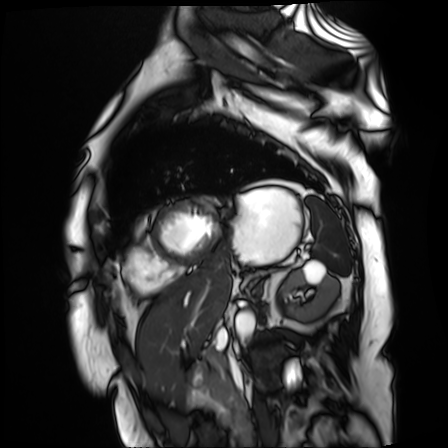
modality: cardiac MR image of the myocardium
subject cohort: cardiac patient